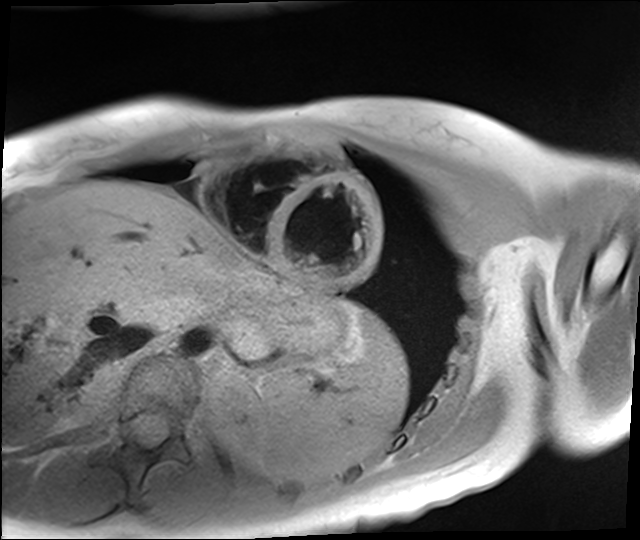
Cardiac MR image of the myocardium. Subject cohort: healthy volunteer.